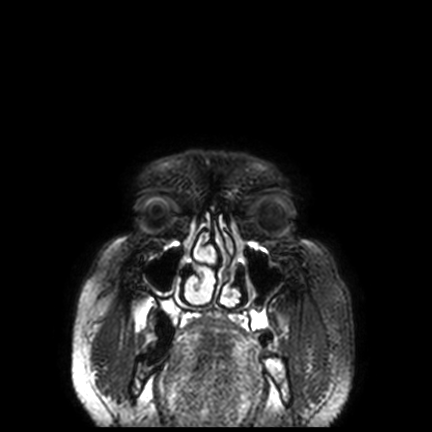
3 Tesla brain MRI. Series: FLAIR VISTA with SENSE. Study: ring-enhancing brain masses.